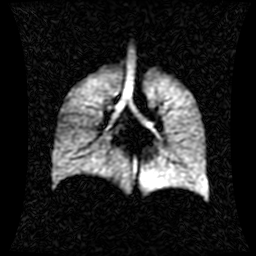
Q: What kind of scan is this?
A: Hyperpolarized 129Xe ventilation MRI of the lungs.
Q: SNR level?
A: 1 of 8 (the deposit holds this scan as its native image and as seven SNR-degraded versions).